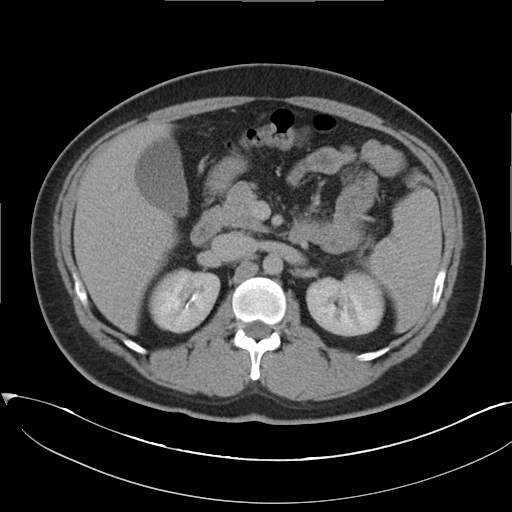
Multiphase abdominal CT, liver, delayed phase. Patient: female, age 35.